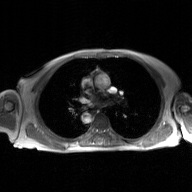
Summary: 2D phase-contrast cine MRI of the ascending aorta, GAN super-resolution reconstruction.